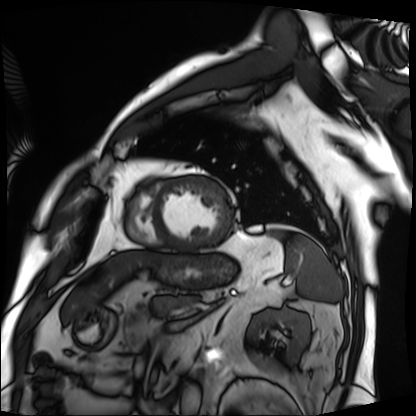
modality: cardiac MRI
cohort: patient